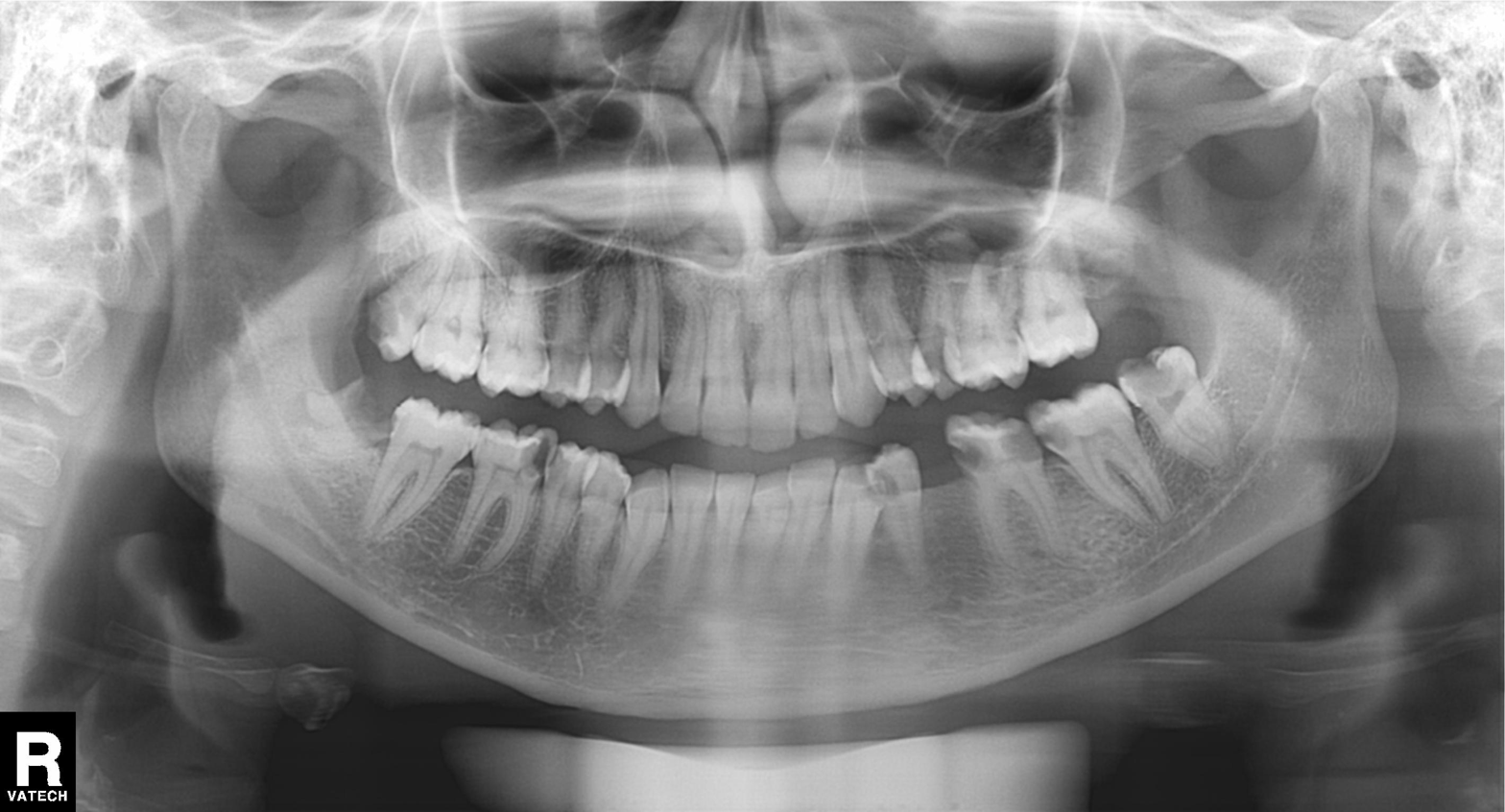
Summary: Panoramic dental radiograph (orthopantomogram).
Conclusion: Alveolar bone loss.